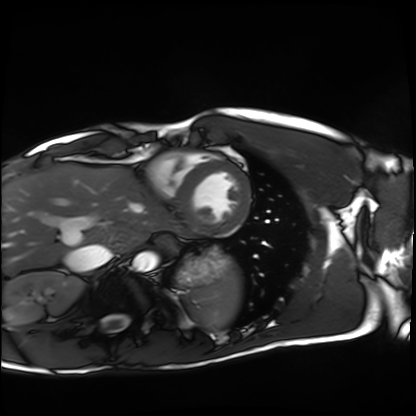
- modality: cardiac MRI
- subject group: healthy volunteer